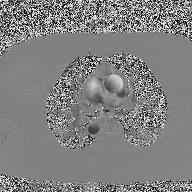
modality: 2D phase-contrast cine MRI of the ascending aorta.